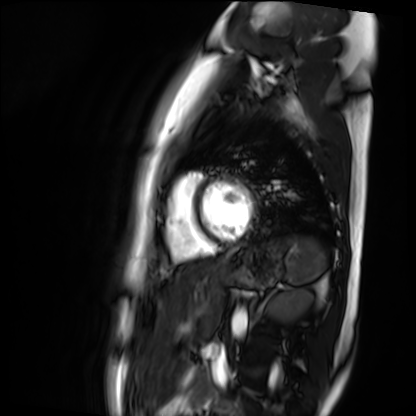
Cardiac MR image of the myocardium. Subject cohort: healthy volunteer.